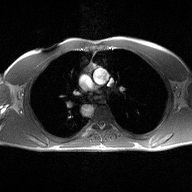
2D phase-contrast cine MRI of the ascending aorta, high-resolution GRAPPA acquisition.